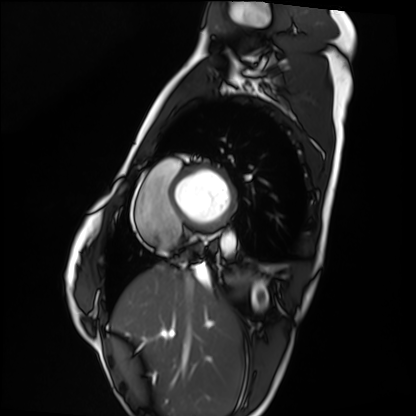
Cardiac MRI. Subject group: healthy volunteer.